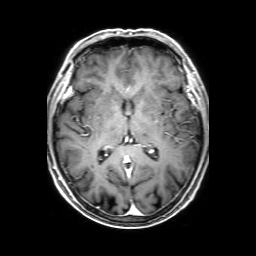
– modality — 3 Tesla brain MRI
– series — 3D T1-weighted with SENSE
– study — ring-enhancing brain masses